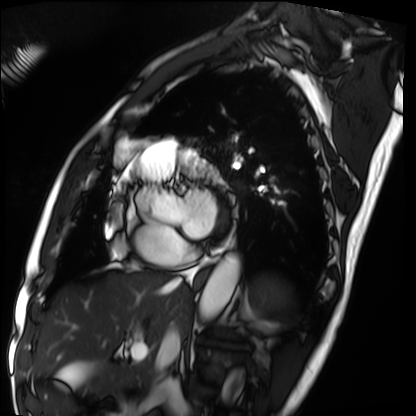
modality=cardiac MRI | subject group=patient.